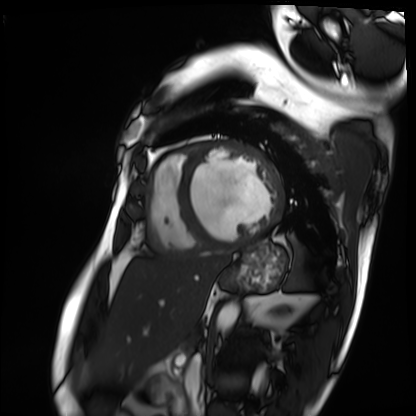
* modality — cardiac MRI
* subject group — patient